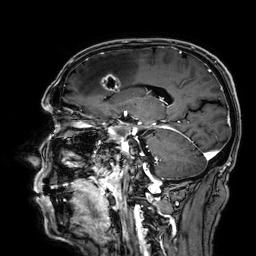
3 Tesla brain MRI. Series: 3D T1-weighted. Study: ring-enhancing brain masses.